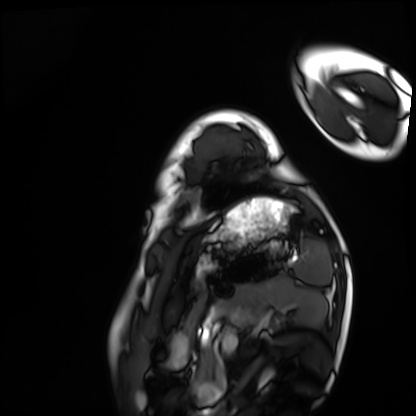
| field | value |
|---|---|
| modality | cardiac MRI |
| subject group | healthy volunteer |